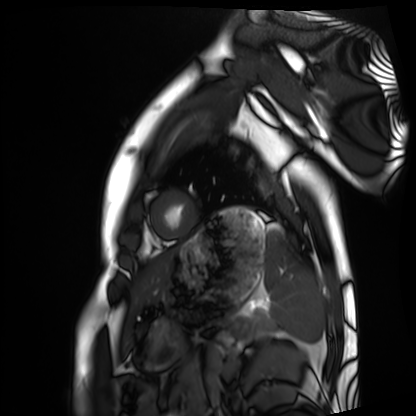
Cardiac MRI.
Subject group: healthy volunteer.